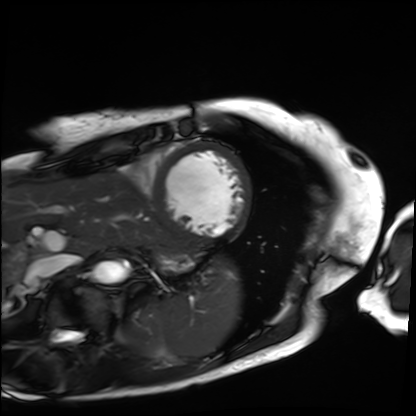
Clinical context: Cardiac MRI. Subject group: patient.